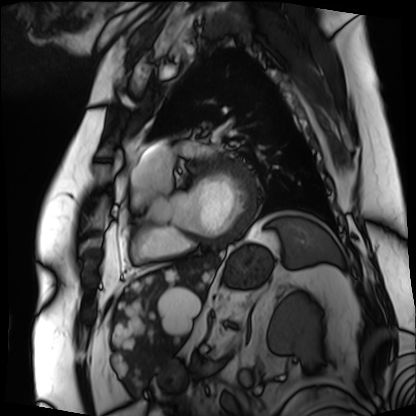
Clinical context:
Cardiac MRI. Subject group: patient.